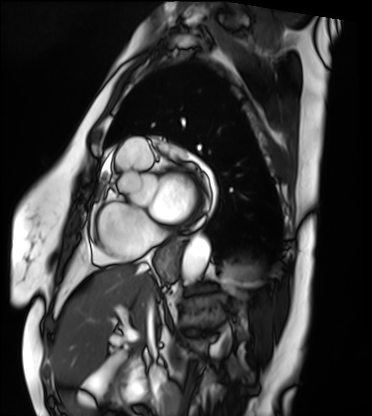
modality: cardiac MRI; subject group: patient.